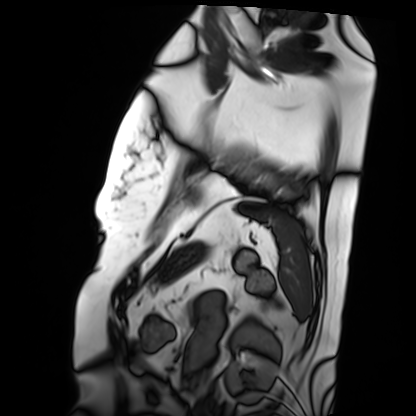
Cardiac MRI. Subject group: patient.